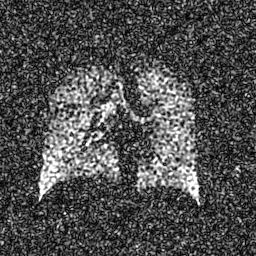
modality = hyperpolarized 129Xe ventilation MRI of the lungs, SNR level = 7 of 8 (the deposit holds this scan as its native image and as seven SNR-degraded versions).